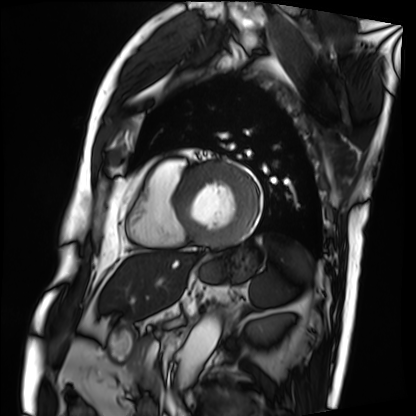
modality = cardiac MRI
subject group = patient